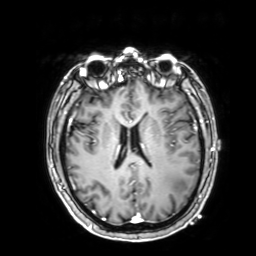
modality:
  type: brain MRI
  field_strength: 3T
series: 3D T1-weighted with SENSE
study_topic: ring-enhancing brain masses